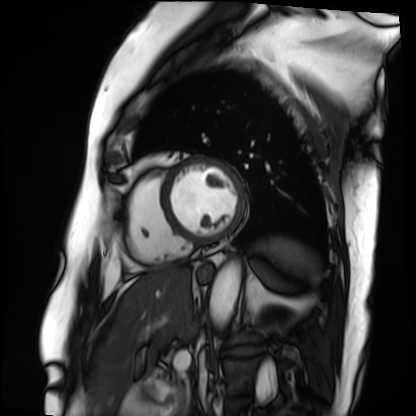
Q: What kind of scan is this?
A: Cardiac MRI.
Subject group: patient.